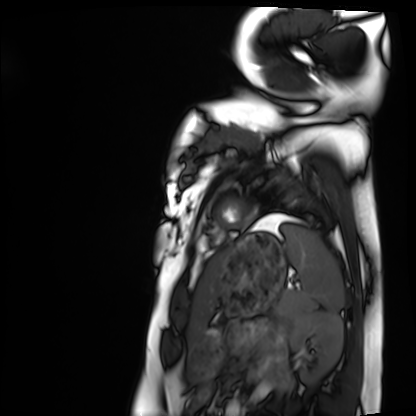
Cardiac MRI.
Subject group: healthy volunteer.